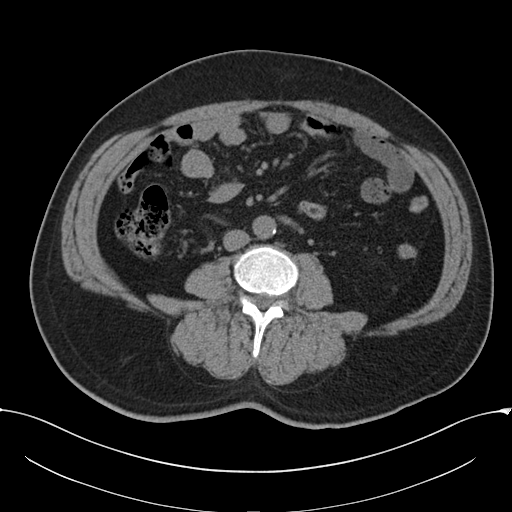
{
  "modality": {
    "type": "multiphase abdominal CT",
    "region": "liver",
    "phase": "non-contrast"
  },
  "patient": {
    "sex": "male",
    "age": 52
  },
  "history": [
    "cirrhosis",
    "viral hepatitis"
  ]
}